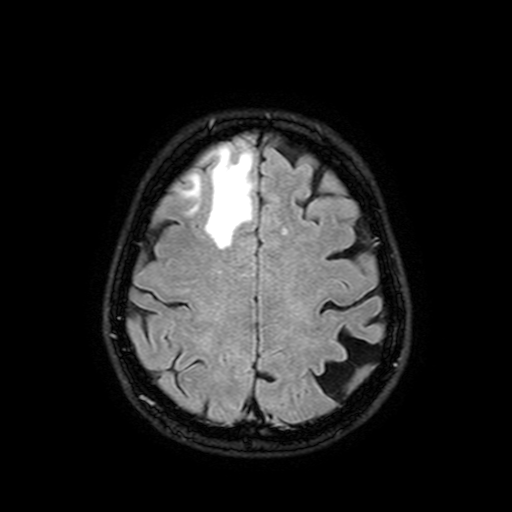
modality:
  type: brain MRI
  field_strength: 3T
study_topic: ring-enhancing brain masses